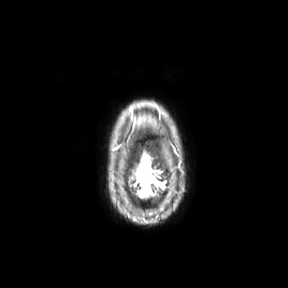
3 Tesla brain MRI.
Series: axial.
Study: ring-enhancing brain masses.